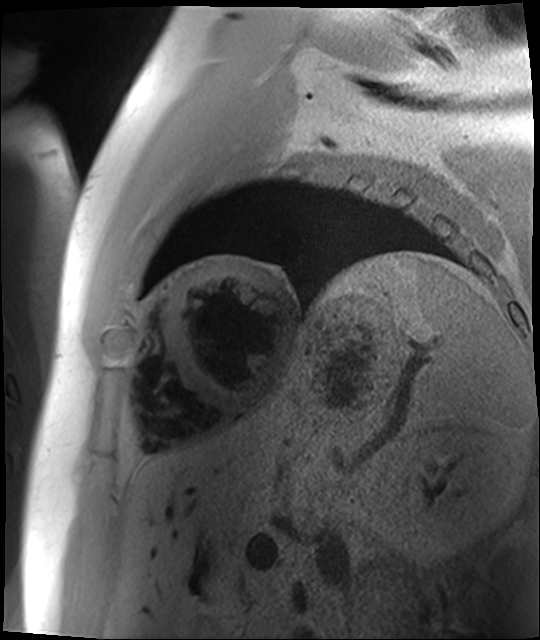
Q: What kind of scan is this?
A: Cardiac MR image of the myocardium.
Subject cohort: cardiac patient.